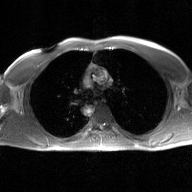
  modality:
    type: 2D phase-contrast cine MRI
    region: ascending aorta
    reconstruction: GAN super-resolution reconstruction